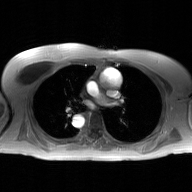
Q: What kind of scan is this?
A: 2D phase-contrast cine MRI of the ascending aorta, GAN super-resolution reconstruction.